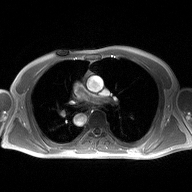
• modality · 2D phase-contrast cine MRI of the ascending aorta